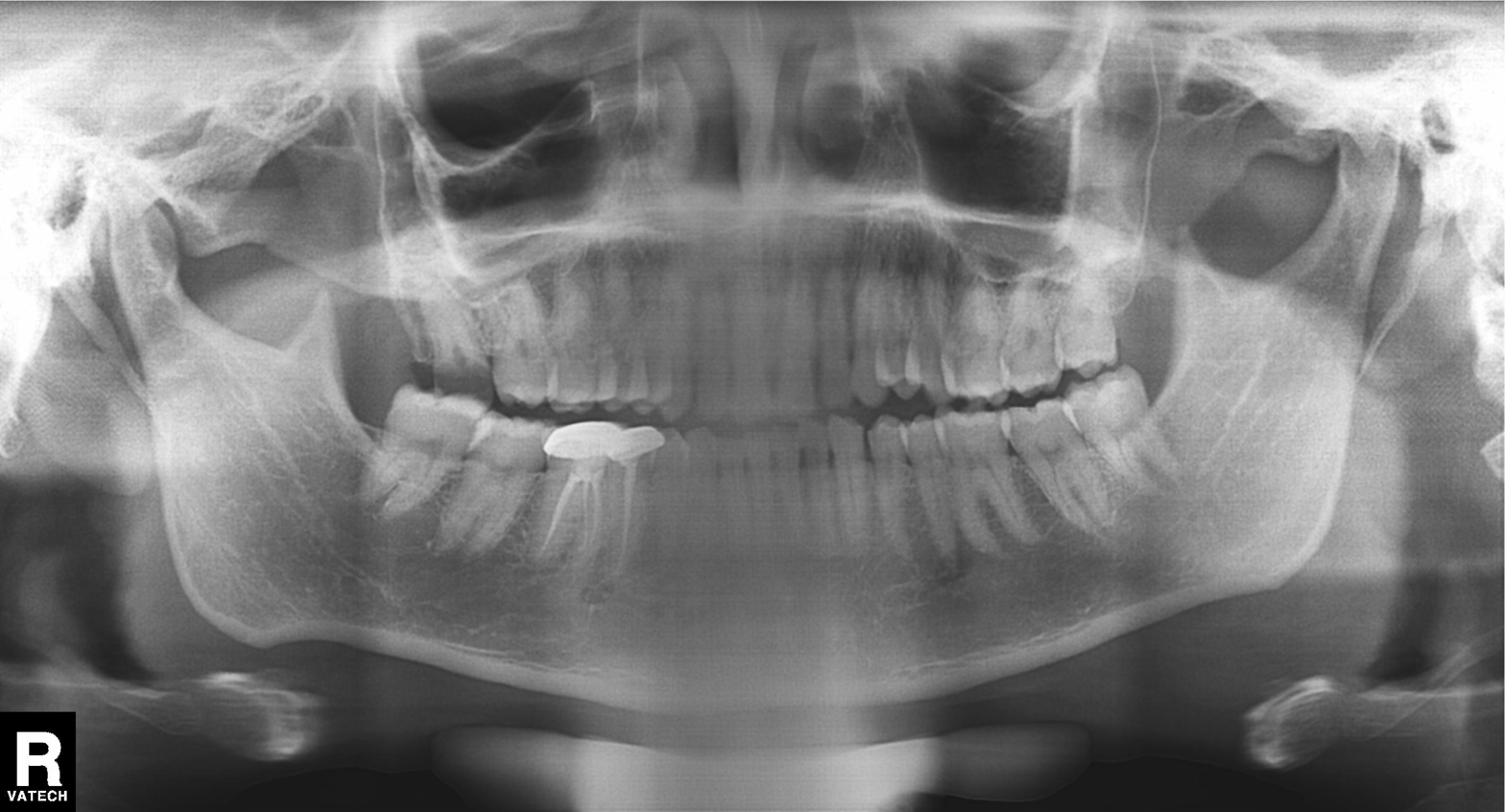
<record>
  <modality>panoramic dental radiograph (orthopantomogram)</modality>
  <finding>dental caries (cavities)</finding>
</record>